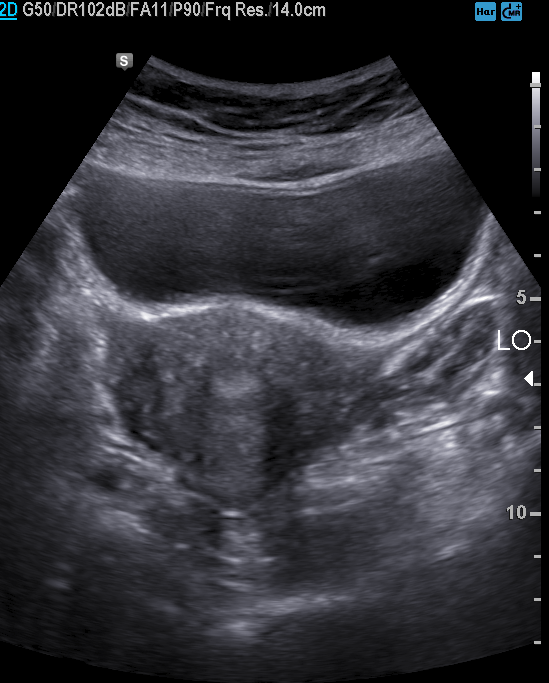
• modality — genitourinary ultrasound